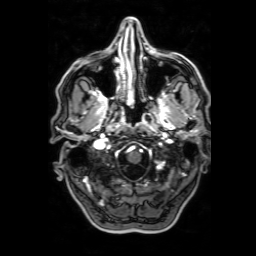
3 Tesla brain MRI. Series: 3D T1-weighted with SENSE. Study: ring-enhancing brain masses.